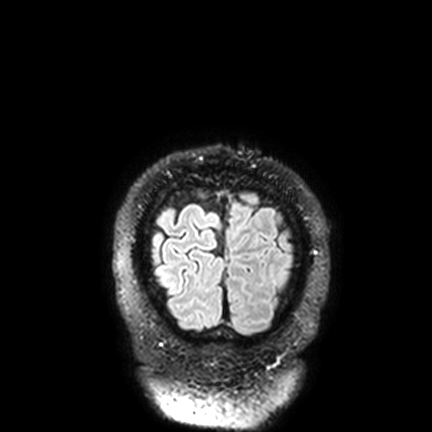
3 Tesla brain MRI.
Series: FLAIR VISTA with SENSE.
Study: ring-enhancing brain masses.